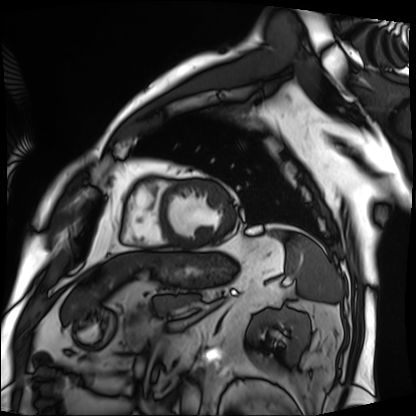
{"modality": "cardiac MRI", "cohort": "patient"}